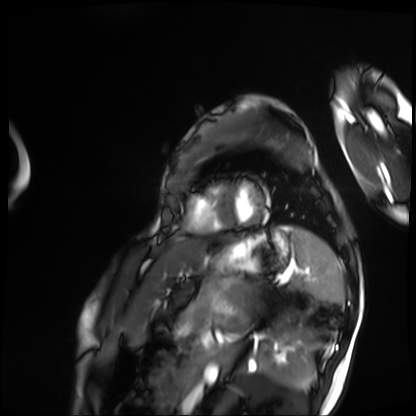
Clinical context: Cardiac MRI. Subject group: patient.